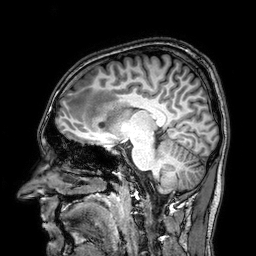
Q: What kind of scan is this?
A: 3 Tesla brain MRI.
Q: Series?
A: 3D T1-weighted.
Study: ring-enhancing brain masses.